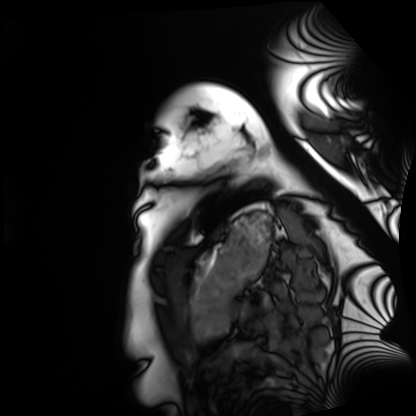
Q: What kind of scan is this?
A: Cardiac MRI.
Subject group: healthy volunteer.